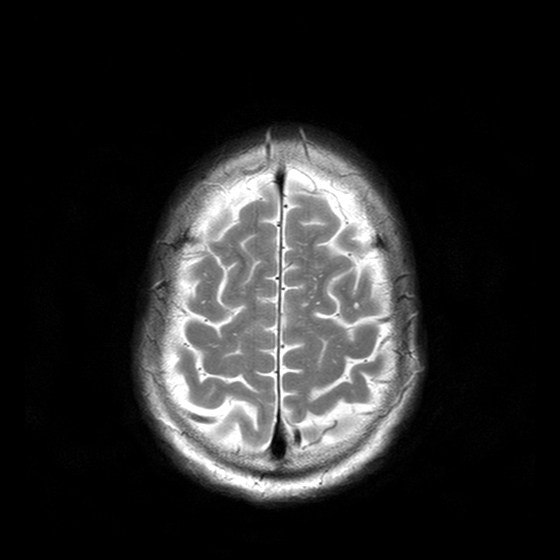
Case:
• modality: 3 Tesla brain MRI
• series: T2-weighted turbo spin echo with CLEAR
• study: ring-enhancing brain masses